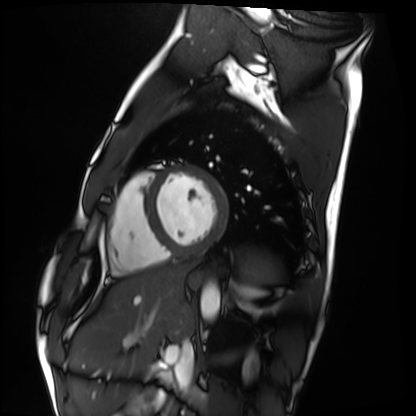
<scan>
  <modality>cardiac MRI</modality>
  <cohort>healthy volunteer</cohort>
</scan>